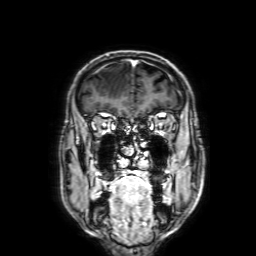
Q: What kind of scan is this?
A: 3 Tesla brain MRI.
Q: Series?
A: 3D T1-weighted with SENSE.
Study: ring-enhancing brain masses.